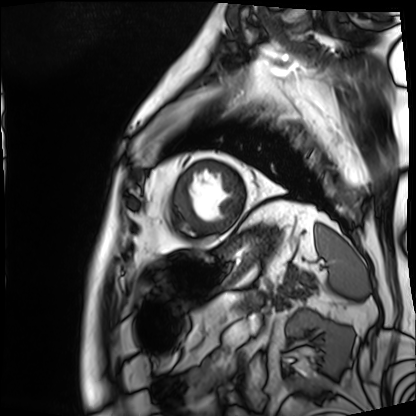
Cardiac MRI.
Subject group: patient.